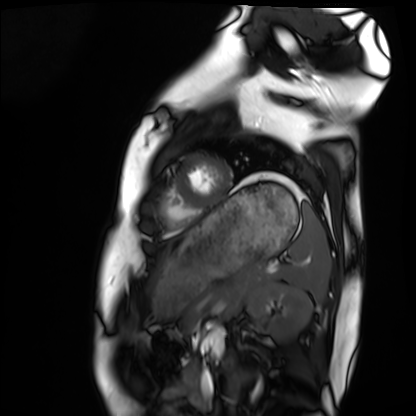
Case summary:
Cardiac MRI. Subject group: healthy volunteer.